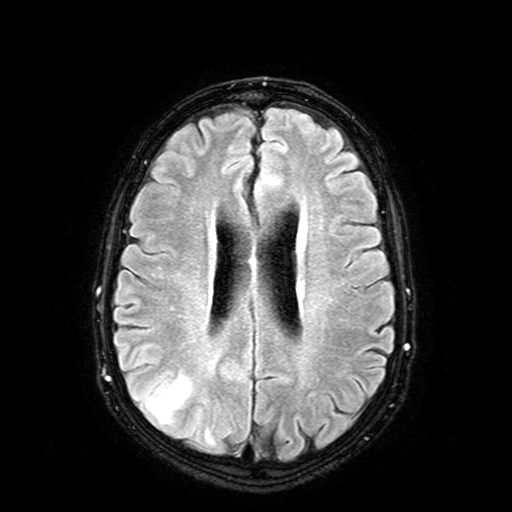
Case summary:
3 Tesla brain MRI. Study: ring-enhancing brain masses.